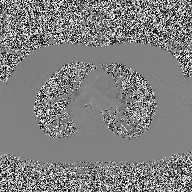
Case summary:
2D phase-contrast cine MRI of the ascending aorta, high-resolution GRAPPA acquisition.